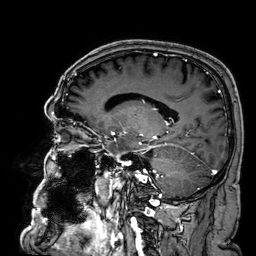
| field | value |
|---|---|
| modality | 3 Tesla brain MRI |
| series | 3D T1-weighted |
| study | ring-enhancing brain masses |